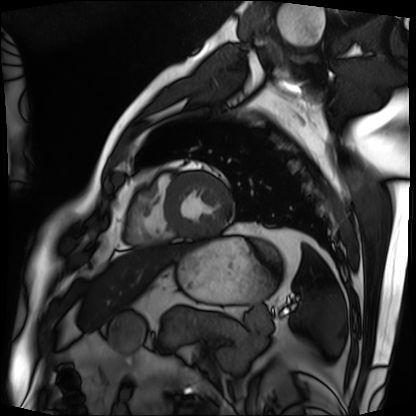
Cardiac MRI.
Subject group: patient.